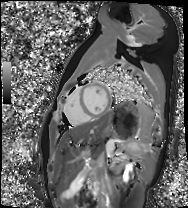
Cardiac MRI. Subject group: healthy volunteer.